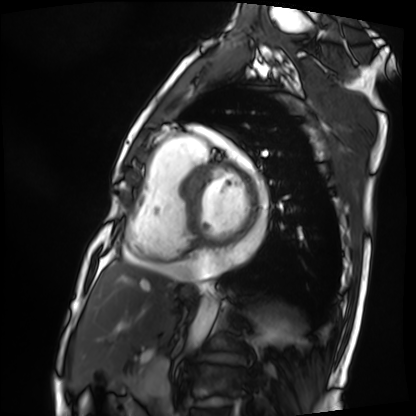
| field | value |
|---|---|
| modality | cardiac MRI |
| subject group | patient |